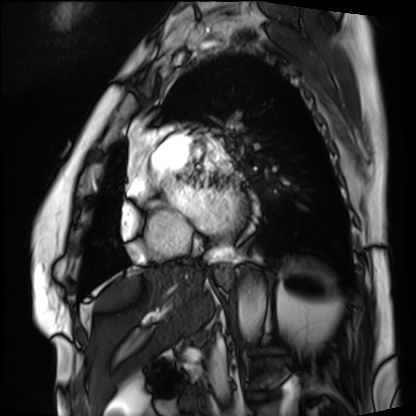
Cardiac MRI. Subject group: patient.